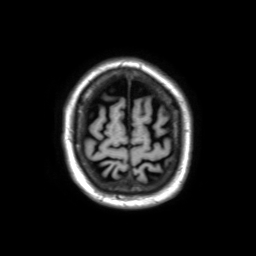
Clinical context:
3 Tesla brain MRI. Series: 3D T1-weighted TFE with SENSE. Study: ring-enhancing brain masses.